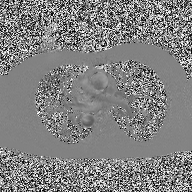
modality = 2D phase-contrast cine MRI of the ascending aorta.